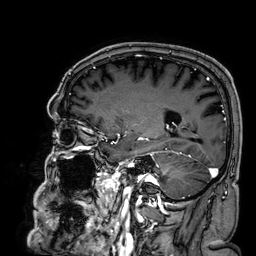
Summary: 3 Tesla brain MRI. Series: 3D T1-weighted. Study: ring-enhancing brain masses.